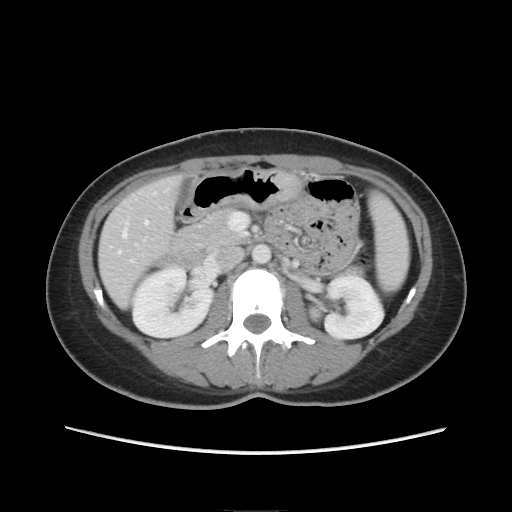
Case summary: Multiphase abdominal CT, liver, portal venous phase. Patient: female, age 33.